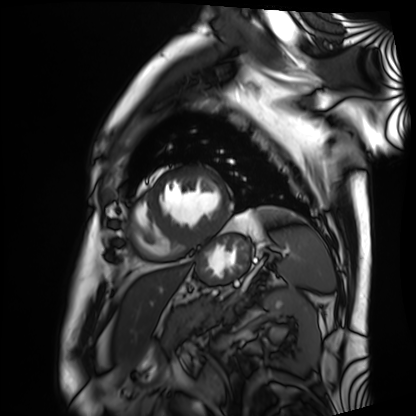
Cardiac MRI. Subject group: patient.